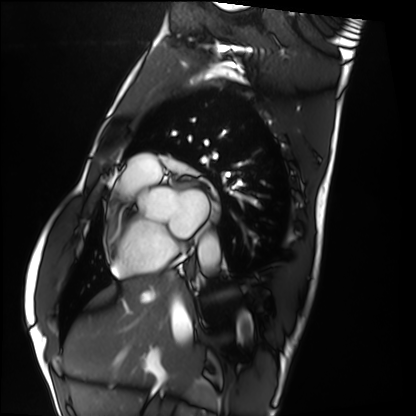
Cardiac MRI.
Subject group: healthy volunteer.